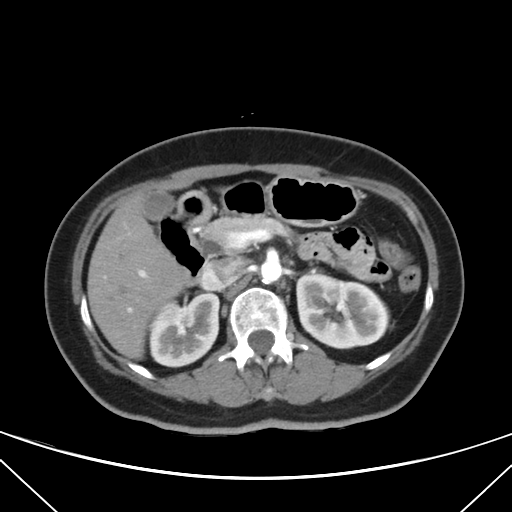
Case:
• modality · multiphase abdominal CT, liver, arterial phase
• patient · female, age 56
• history · viral hepatitis